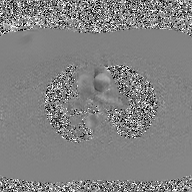
2D phase-contrast cine MRI of the ascending aorta, GAN super-resolution reconstruction.